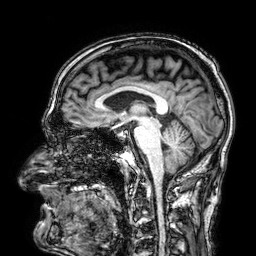
Clinical context: 3 Tesla brain MRI. Series: 3D T1-weighted. Study: ring-enhancing brain masses.